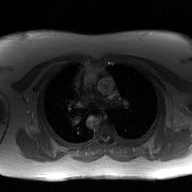
2D phase-contrast cine MRI of the ascending aorta, GAN super-resolution reconstruction.